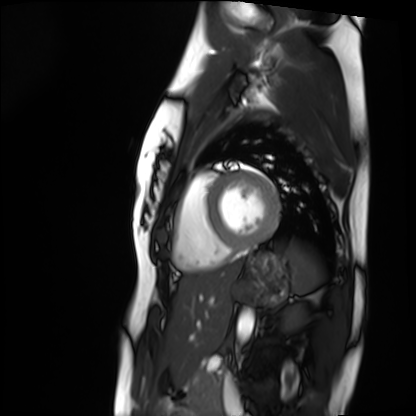
{"modality": "cardiac MRI", "cohort": "healthy volunteer"}